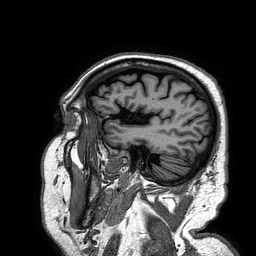
3 Tesla brain MRI. Series: 3D T1-weighted turbo field echo. Study: ring-enhancing brain masses.